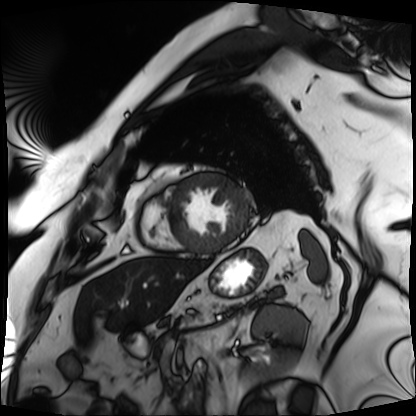
Cardiac MRI. Subject group: patient.